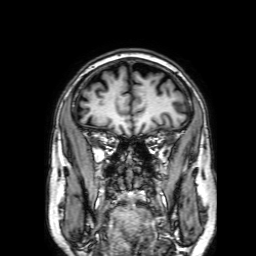
<case>
  <modality>
    <type>brain MRI</type>
    <field_strength>3T</field_strength>
  </modality>
  <series>3D T1-weighted with SENSE</series>
  <study_topic>ring-enhancing brain masses</study_topic>
</case>